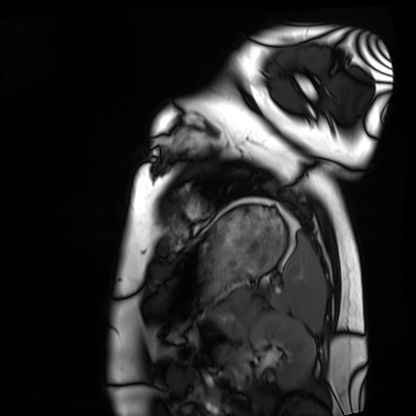
Cardiac MRI.
Subject group: healthy volunteer.